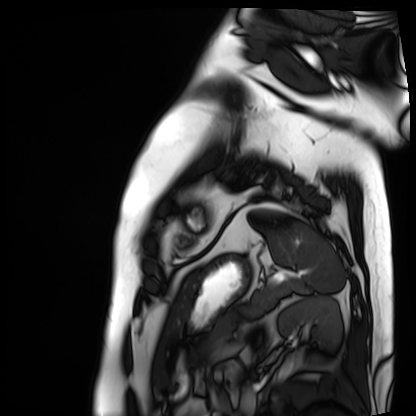
Cardiac MRI. Subject group: patient.